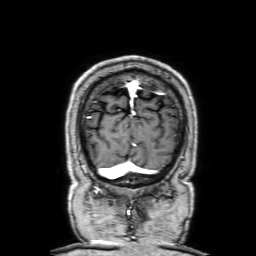
modality:
  type: brain MRI
  field_strength: 3T
series: 3D T1-weighted with SENSE
study_topic: ring-enhancing brain masses